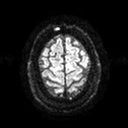
{"modality": {"type": "brain MRI", "field_strength": "3T"}, "series": "diffusion tensor imaging (medium iso)", "study_topic": "ring-enhancing brain masses"}